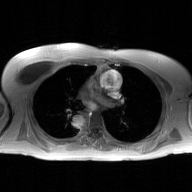
Summary: 2D phase-contrast cine MRI of the ascending aorta, GAN super-resolution reconstruction.